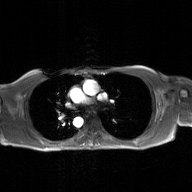
Case:
– modality — 2D phase-contrast cine MRI of the ascending aorta, GAN super-resolution reconstruction